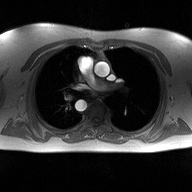
modality:
  type: 2D phase-contrast cine MRI
  region: ascending aorta
  reconstruction: high-resolution GRAPPA acquisition